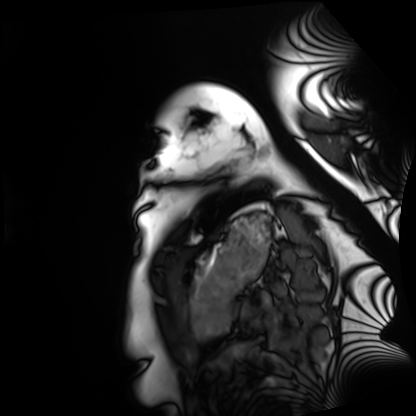
- modality — cardiac MRI
- subject group — healthy volunteer